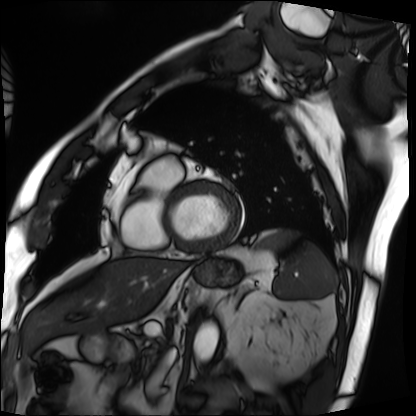
Case summary:
Cardiac MRI. Subject group: patient.